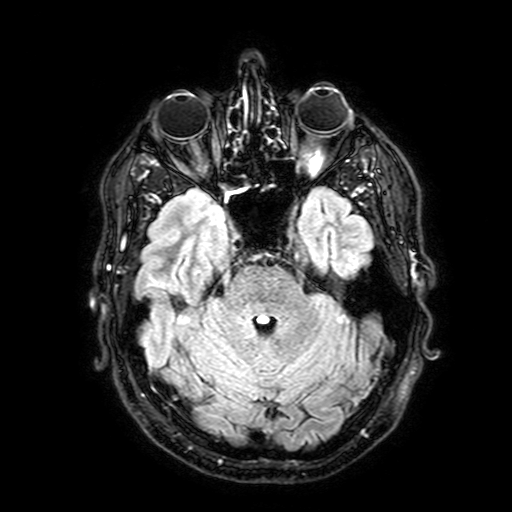
Clinical context: 3 Tesla brain MRI. Series: FLAIR with SPAIR, 3 mm. Study: ring-enhancing brain masses.